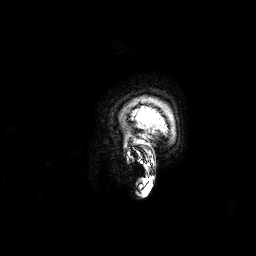
Q: What kind of scan is this?
A: 3 Tesla brain MRI.
Q: Series?
A: 3D T1-weighted.
Study: ring-enhancing brain masses.